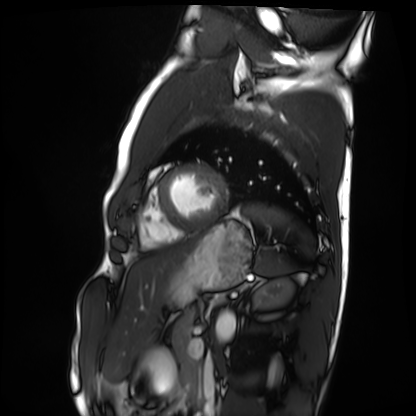
  modality: cardiac MRI
  cohort: healthy volunteer